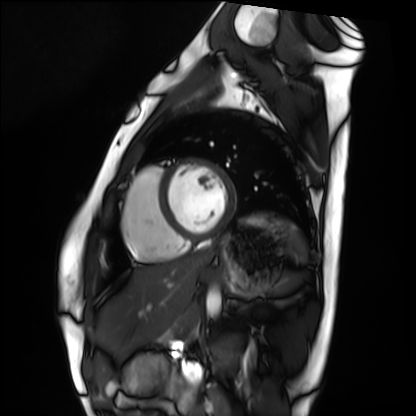
Clinical context:
Cardiac MRI. Subject group: healthy volunteer.